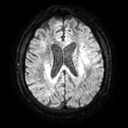
3 Tesla brain MRI. Series: diffusion tensor imaging (medium iso). Study: ring-enhancing brain masses.